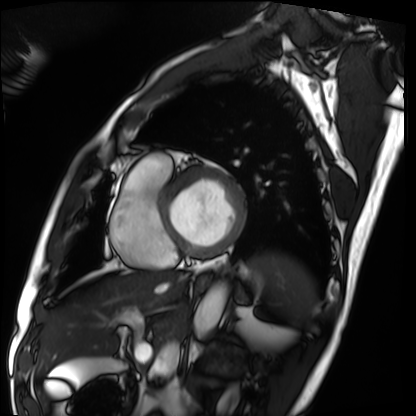
| field | value |
|---|---|
| modality | cardiac MRI |
| subject group | patient |